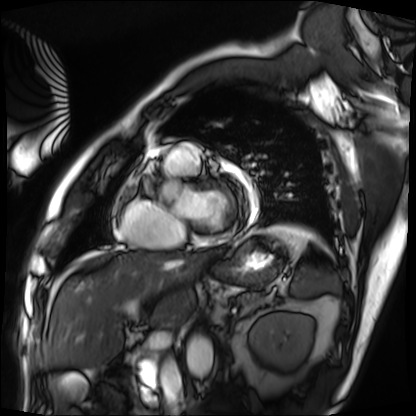
Cardiac MRI. Subject group: patient.